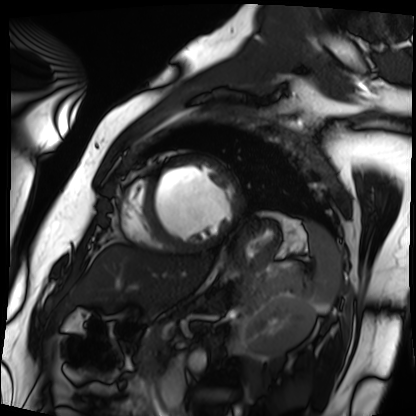
modality: cardiac MRI | subject group: patient.